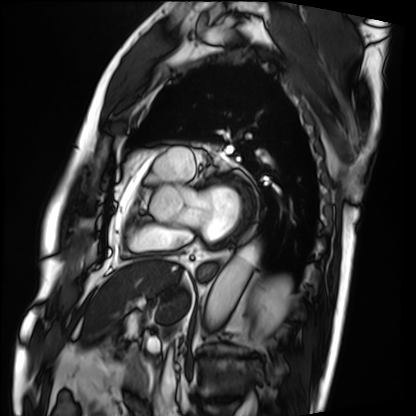
Summary: Cardiac MRI. Subject group: patient.